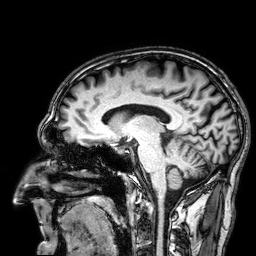
3 Tesla brain MRI. Series: 3D T1-weighted. Study: ring-enhancing brain masses.